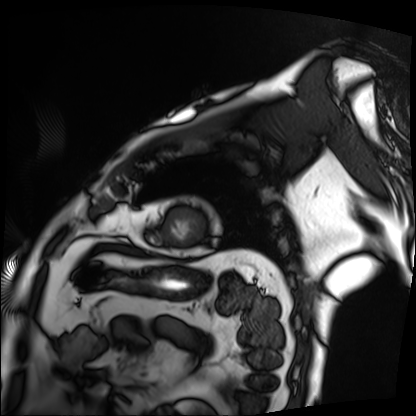
Clinical context:
Cardiac MRI. Subject group: patient.